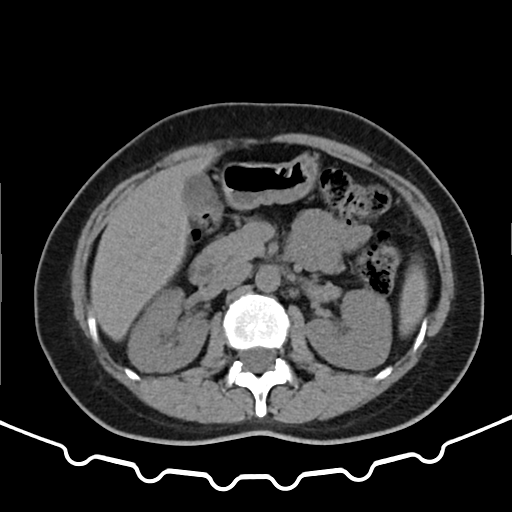
Clinical context:
Multiphase abdominal CT, liver, non-contrast phase. Patient: female, age 43.